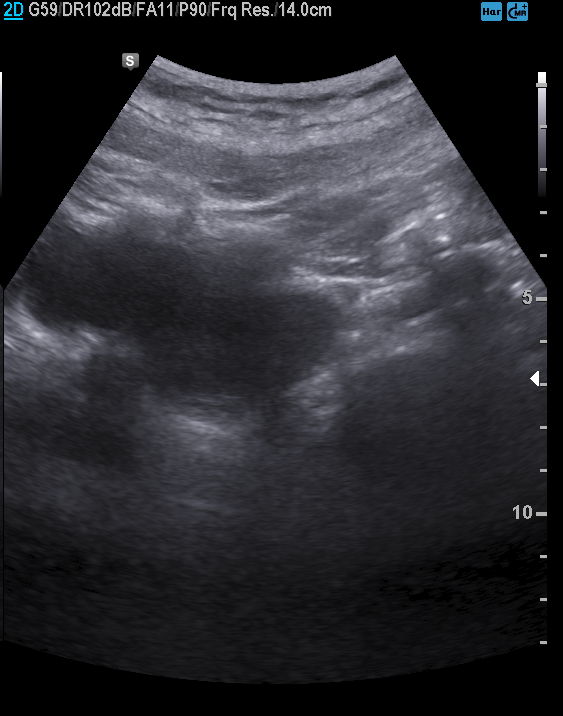
modality = genitourinary ultrasound.